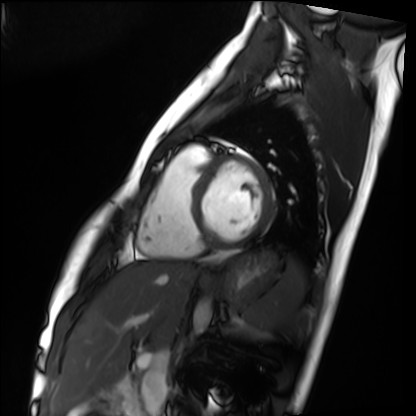
Q: What kind of scan is this?
A: Cardiac MRI.
Subject group: healthy volunteer.